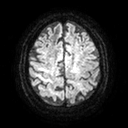
Clinical context:
3 Tesla brain MRI. Series: diffusion tensor imaging (medium iso). Study: ring-enhancing brain masses.